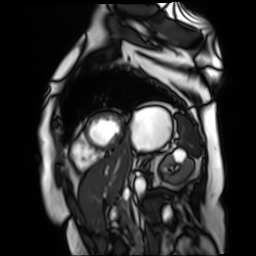
Q: What kind of scan is this?
A: Cardiac MR image of the myocardium.
Subject cohort: cardiac patient.